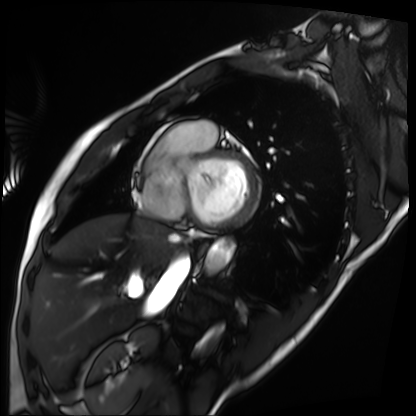
Cardiac MRI. Subject group: patient.